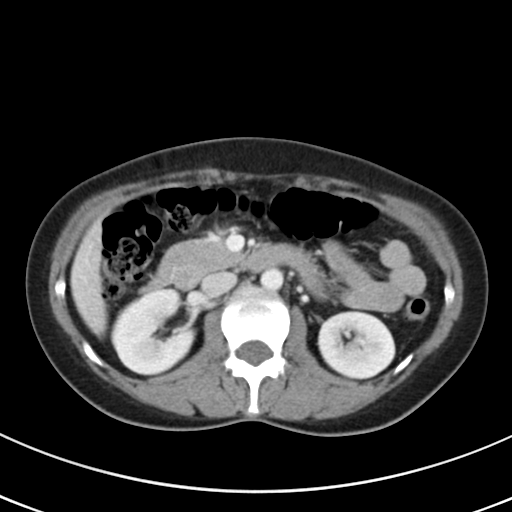
Multiphase abdominal CT, liver, portal venous phase.
Patient: female, age 43.